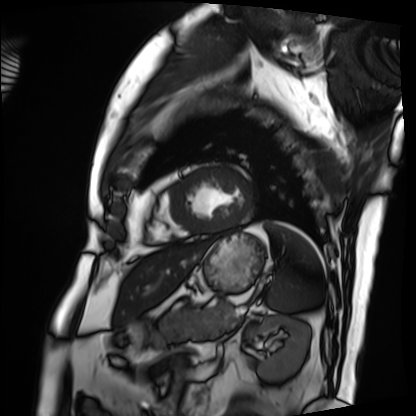
Cardiac MRI.
Subject group: patient.